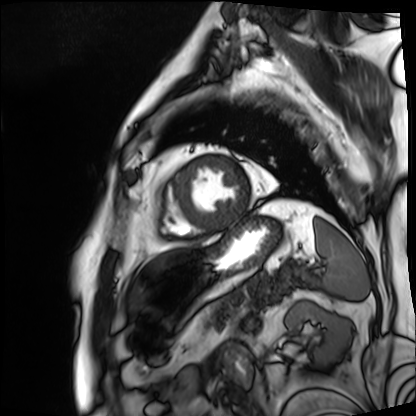
Clinical context: Cardiac MRI. Subject group: patient.